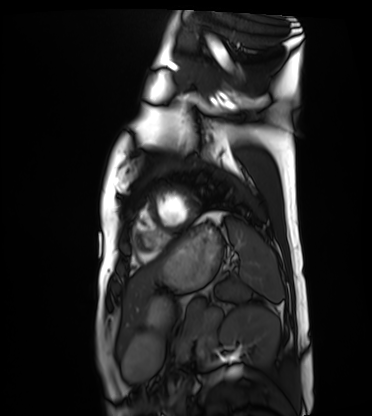
modality: cardiac MRI
cohort: healthy volunteer